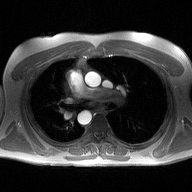
modality=2D phase-contrast cine MRI of the ascending aorta.